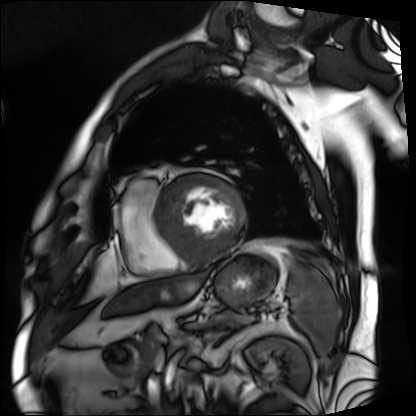
Q: What kind of scan is this?
A: Cardiac MRI.
Subject group: patient.